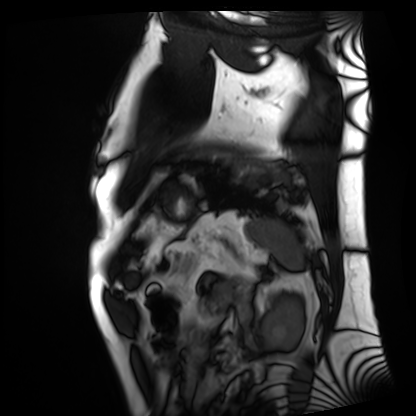
Summary:
Cardiac MRI. Subject group: patient.